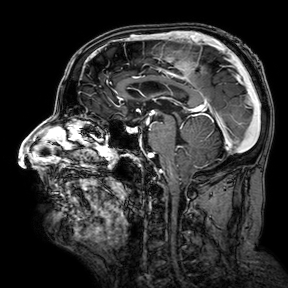
modality: 3 Tesla brain MRI | study: ring-enhancing brain masses.